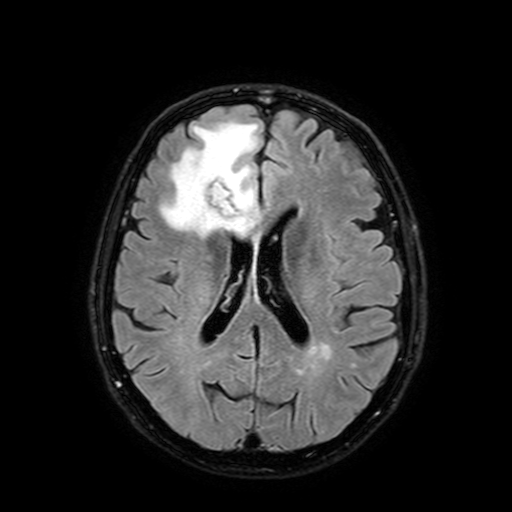
modality: 3 Tesla brain MRI; series: FLAIR with SPAIR, 3 mm; study: ring-enhancing brain masses.